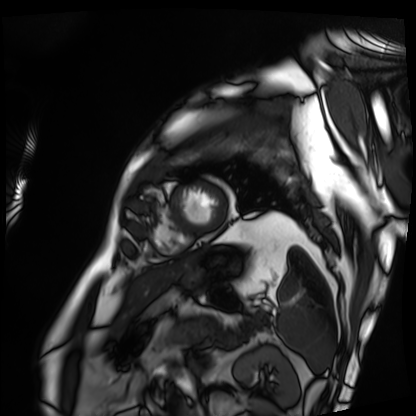
Q: What kind of scan is this?
A: Cardiac MRI.
Subject group: patient.